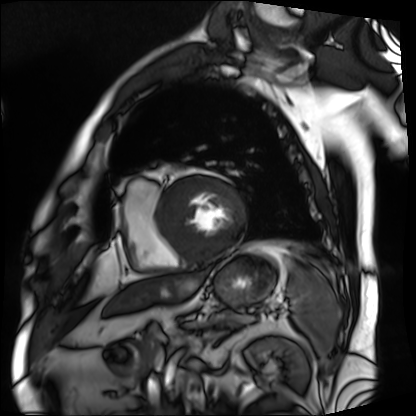
<study>
  <modality>cardiac MRI</modality>
  <cohort>patient</cohort>
</study>